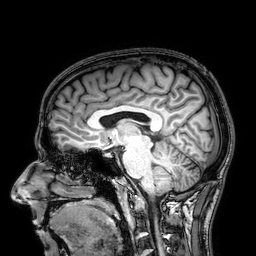
modality = 3 Tesla brain MRI; series = 3D T1-weighted; study = ring-enhancing brain masses.